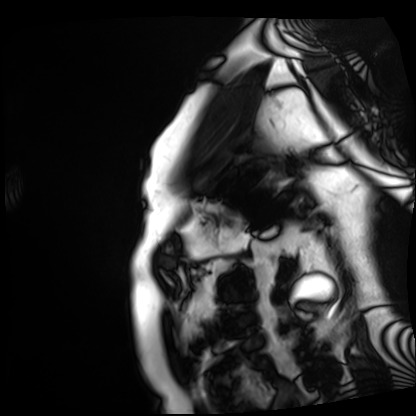
Clinical context: Cardiac MRI. Subject group: patient.